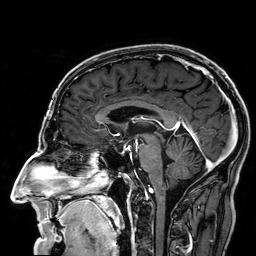
Case summary:
3 Tesla brain MRI. Series: 3D T1-weighted. Study: ring-enhancing brain masses.